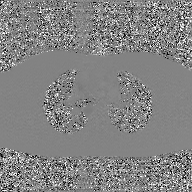
Case summary: 2D phase-contrast cine MRI of the ascending aorta, GAN super-resolution reconstruction.